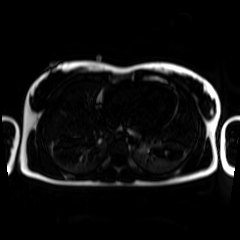
- modality · chemical-shift-encoded cardiac MRI